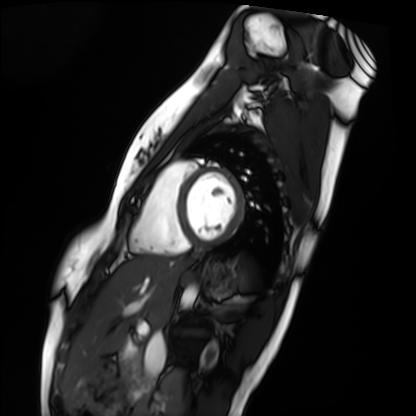
modality: cardiac MRI
cohort: healthy volunteer